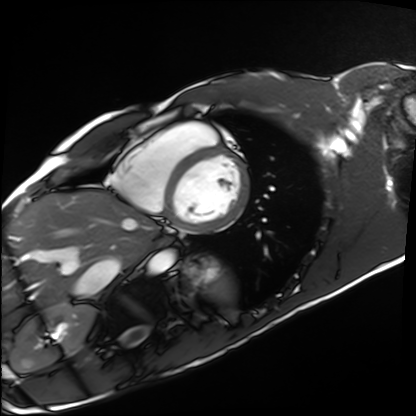
Cardiac MRI. Subject group: healthy volunteer.